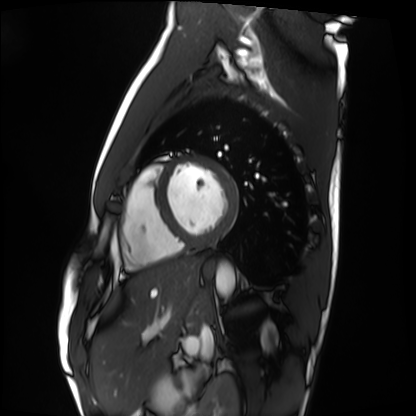
Cardiac MRI.
Subject group: healthy volunteer.